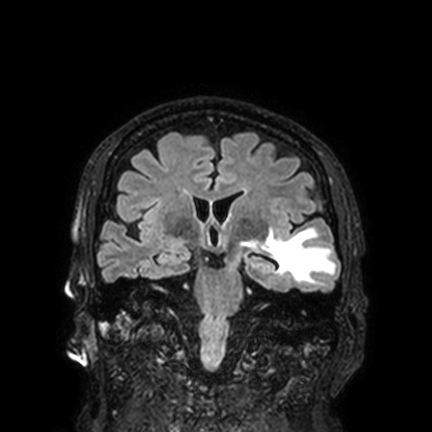
3 Tesla brain MRI.
Series: FLAIR VISTA with SENSE.
Study: ring-enhancing brain masses.